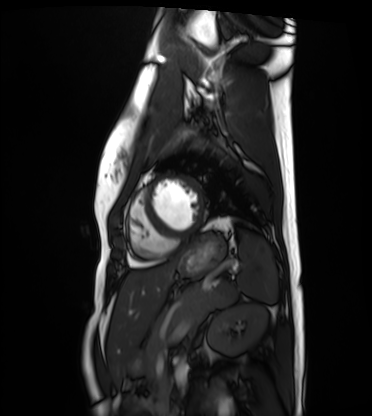
Cardiac MRI. Subject group: healthy volunteer.